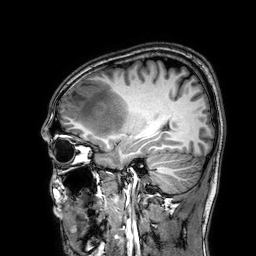
  modality:
    type: brain MRI
    field_strength: 3T
  series: 3D T1-weighted
  study_topic: ring-enhancing brain masses